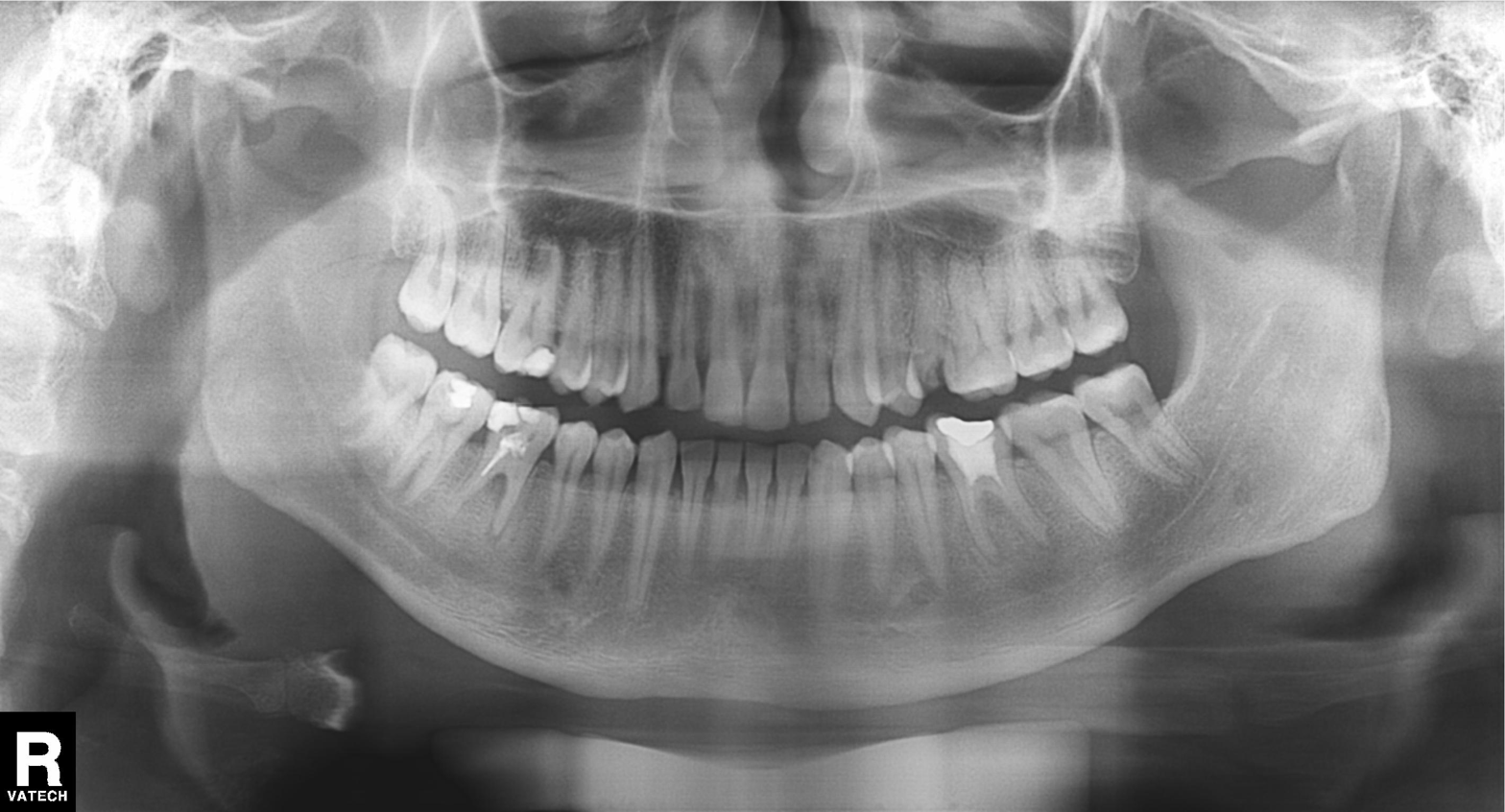
Summary: Panoramic dental radiograph (orthopantomogram).
Impression: Dental caries (cavities).